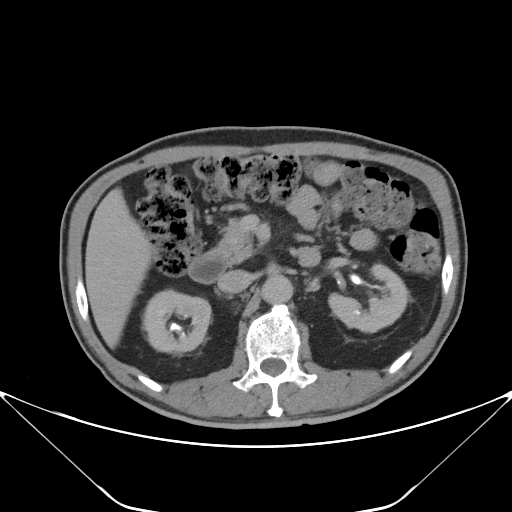
Summary: Multiphase abdominal CT, liver, delayed phase. Patient: male, age 67.